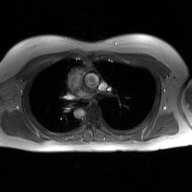
2D phase-contrast cine MRI of the ascending aorta, GAN super-resolution reconstruction.